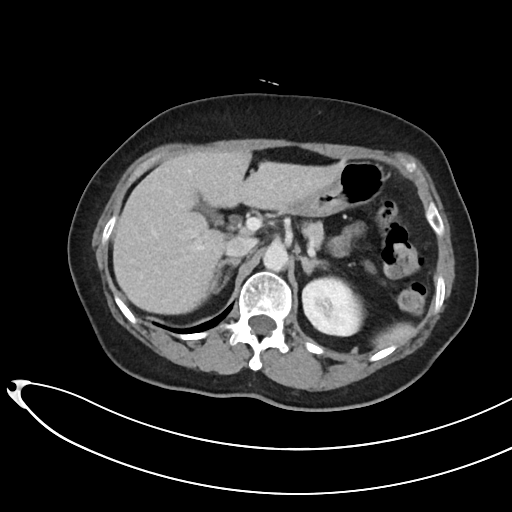
- modality — multiphase abdominal CT, liver, portal venous phase
- patient — female, age 69
- history — viral hepatitis